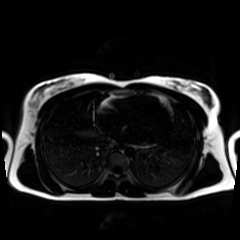
Summary: Chemical-shift-encoded cardiac MRI.